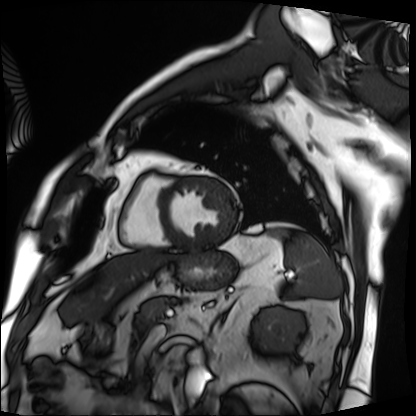
Cardiac MRI. Subject group: patient.